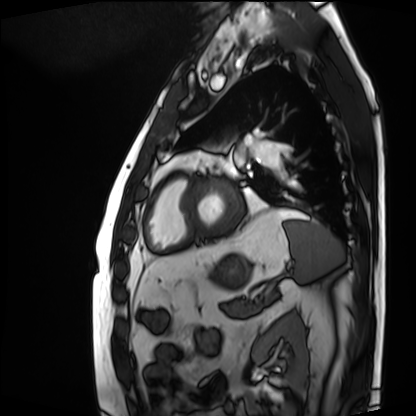
modality=cardiac MRI
subject group=patient